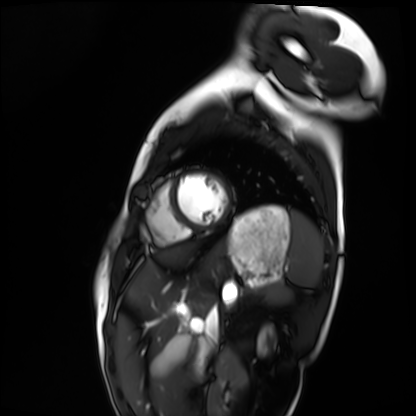
modality: cardiac MRI; subject group: healthy volunteer.